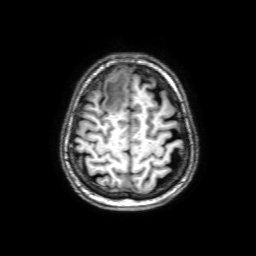
modality = 3 Tesla brain MRI; series = 3D T1-weighted with SENSE; study = ring-enhancing brain masses.